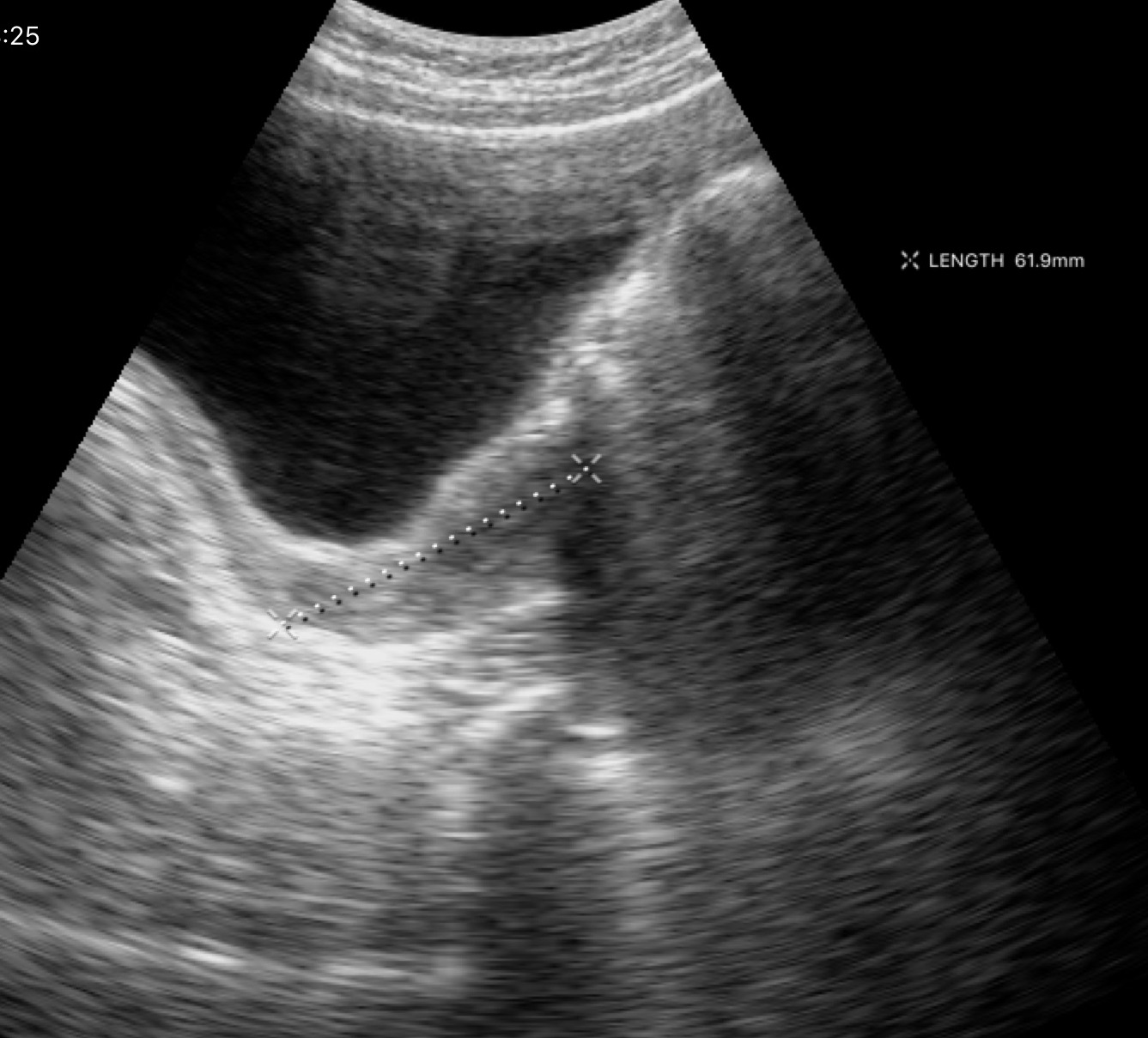
modality = genitourinary ultrasound.